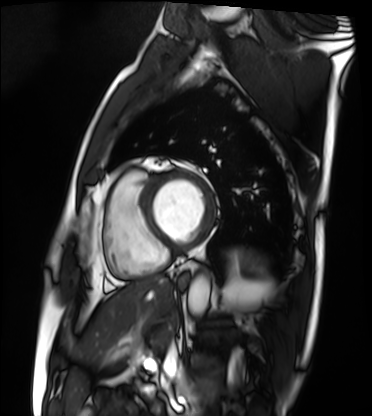
<scan>
  <modality>cardiac MRI</modality>
  <cohort>patient</cohort>
</scan>